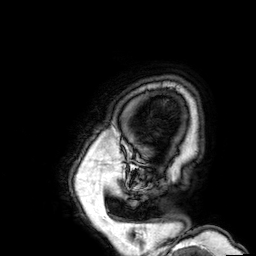
Q: What kind of scan is this?
A: 3 Tesla brain MRI.
Q: Series?
A: 3D T1-weighted.
Study: ring-enhancing brain masses.